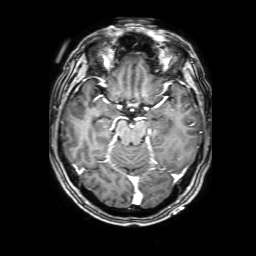
3 Tesla brain MRI. Series: 3D T1-weighted with SENSE. Study: ring-enhancing brain masses.